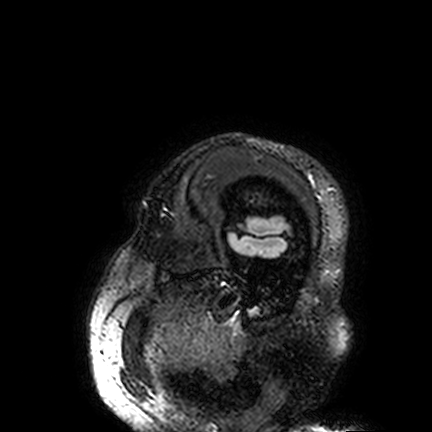
| field | value |
|---|---|
| modality | 3 Tesla brain MRI |
| series | FLAIR VISTA |
| study | ring-enhancing brain masses |